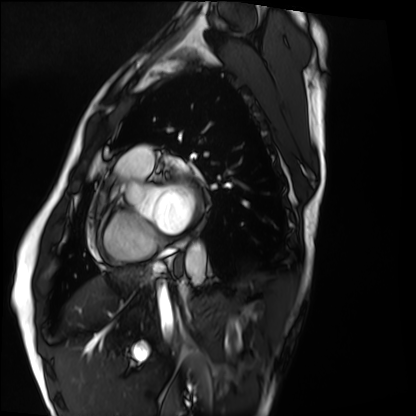
Cardiac MRI.
Subject group: healthy volunteer.